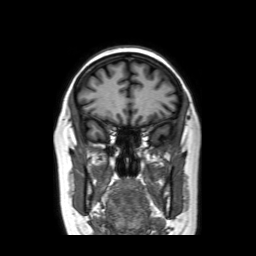
Clinical context: 3 Tesla brain MRI. Series: coronal without contrast. Study: ring-enhancing brain masses.